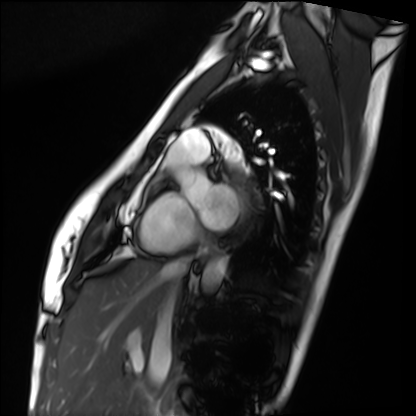
{
  "modality": "cardiac MRI",
  "cohort": "healthy volunteer"
}